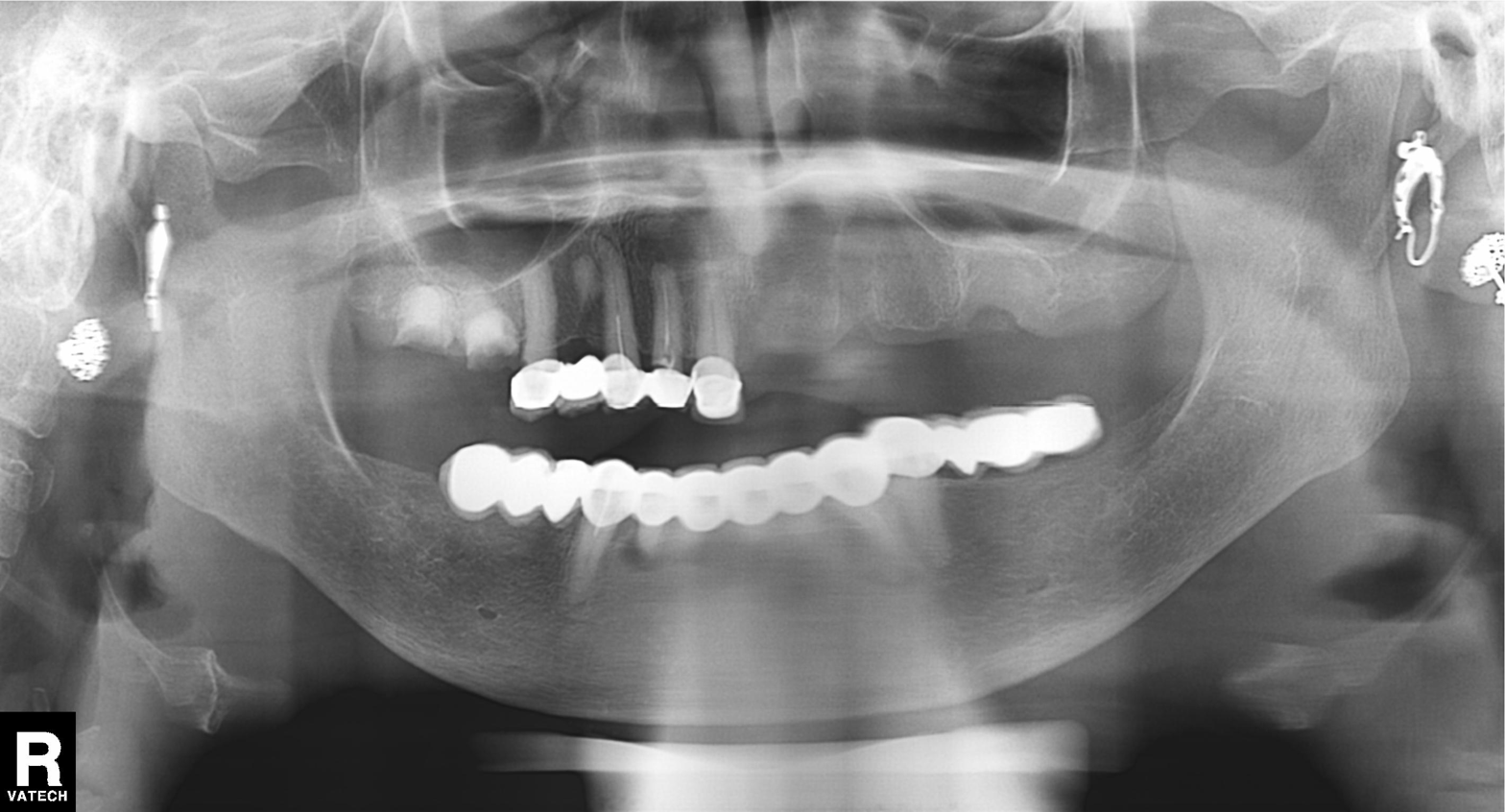
Panoramic dental radiograph (orthopantomogram). Finding: dental caries (cavities).